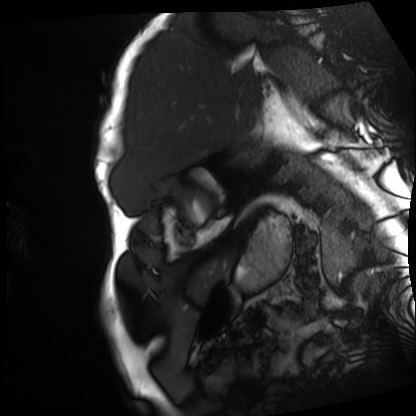
Summary: Cardiac MRI. Subject group: patient.